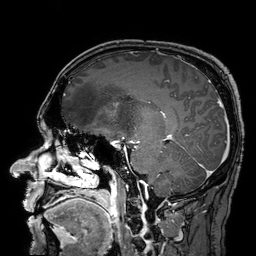
modality=3 Tesla brain MRI
series=3D T1-weighted turbo field echo with SENSE
study=ring-enhancing brain masses